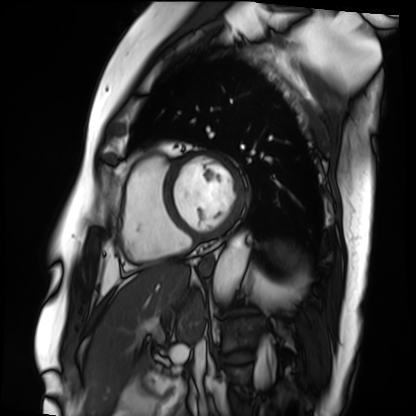
Summary: Cardiac MRI. Subject group: patient.